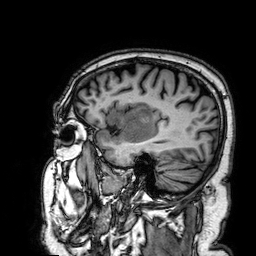
modality — 3 Tesla brain MRI
series — 3D T1-weighted
study — ring-enhancing brain masses